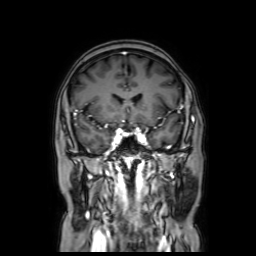
<scan>
  <modality>
    <type>brain MRI</type>
    <field_strength>3T</field_strength>
  </modality>
  <series>coronal with contrast</series>
  <study_topic>ring-enhancing brain masses</study_topic>
</scan>